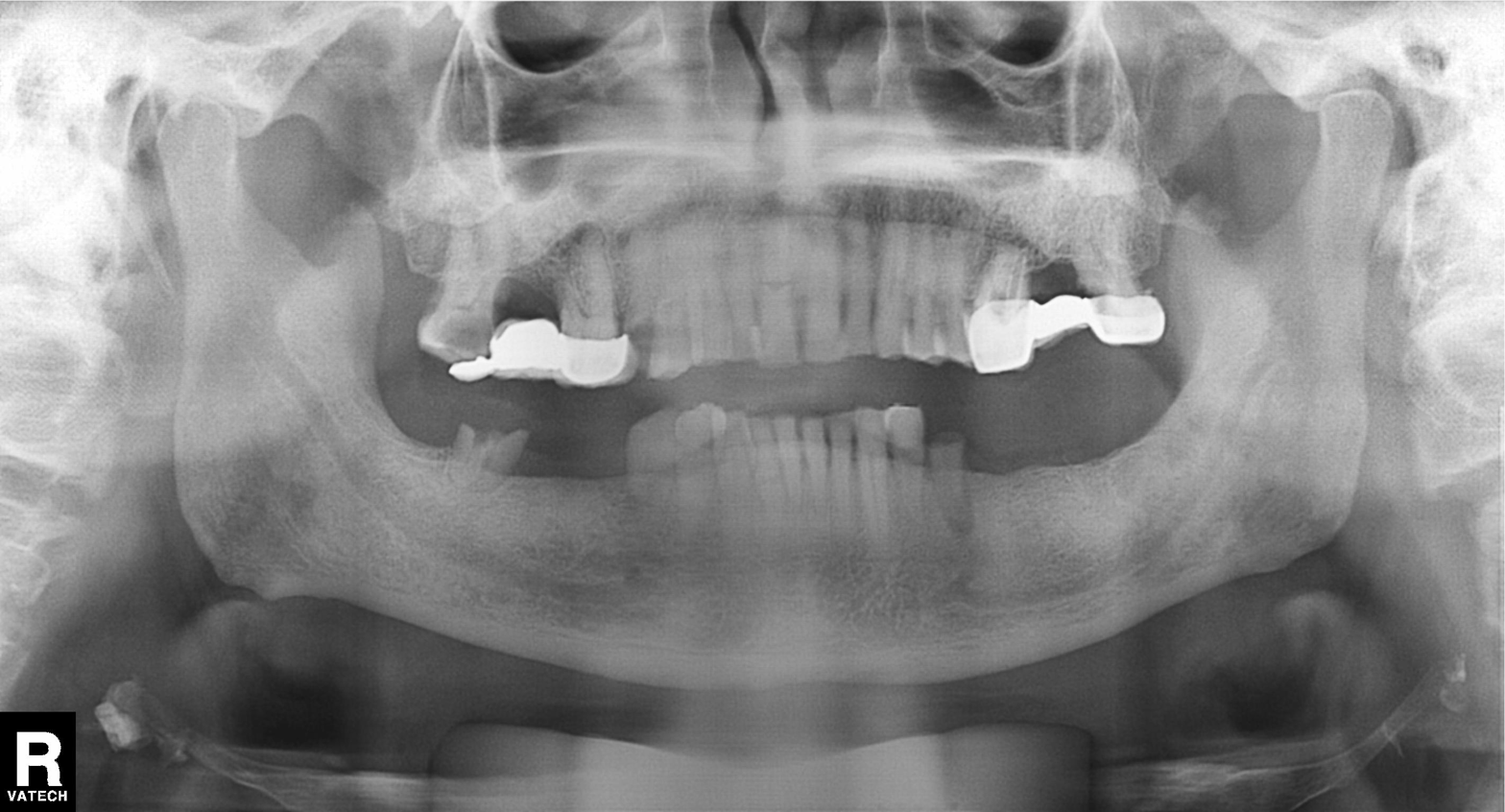
Summary: Panoramic dental radiograph (orthopantomogram).
Impression: Dental caries (cavities).